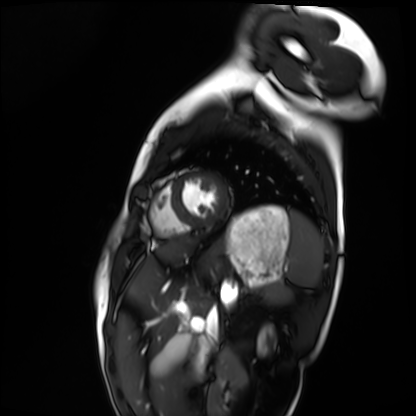
Q: What kind of scan is this?
A: Cardiac MRI.
Subject group: healthy volunteer.